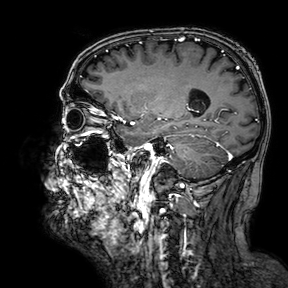
3 Tesla brain MRI.
Series: 3D T1-weighted turbo field echo with SENSE.
Study: ring-enhancing brain masses.